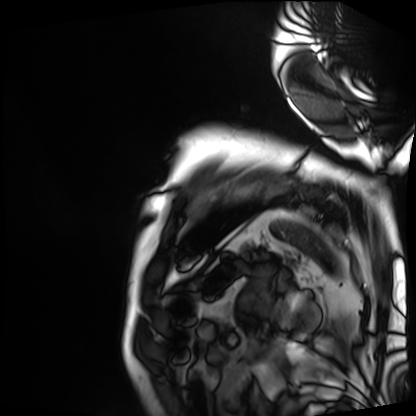
Clinical context: Cardiac MRI. Subject group: patient.